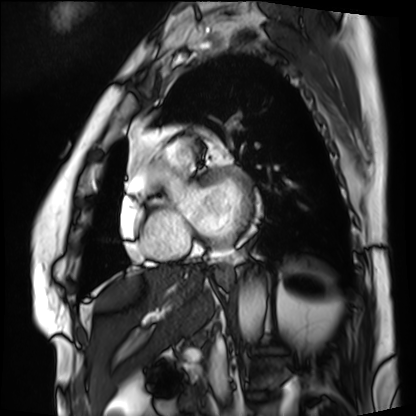
Q: What kind of scan is this?
A: Cardiac MRI.
Subject group: patient.